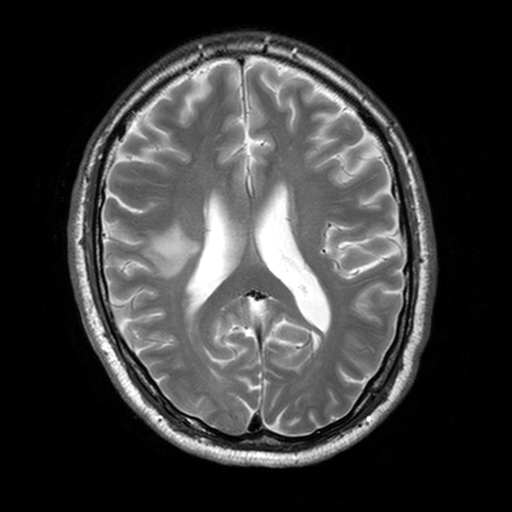
{
  "modality": {
    "type": "brain MRI",
    "field_strength": "3T"
  },
  "series": "T2-weighted turbo spin echo, 3 mm",
  "study_topic": "ring-enhancing brain masses"
}